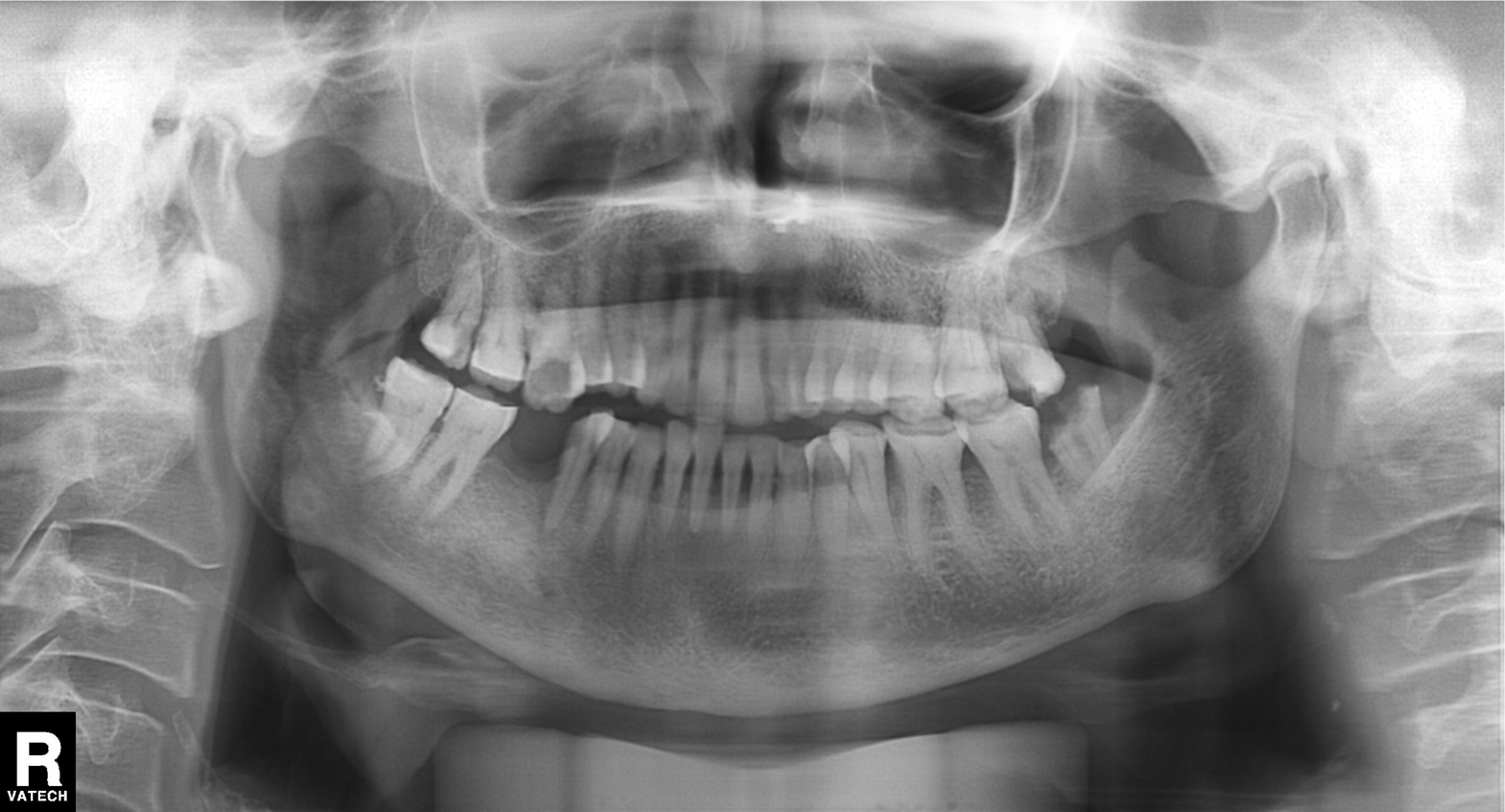
  modality: panoramic dental radiograph (orthopantomogram)
  finding: dental caries (cavities)